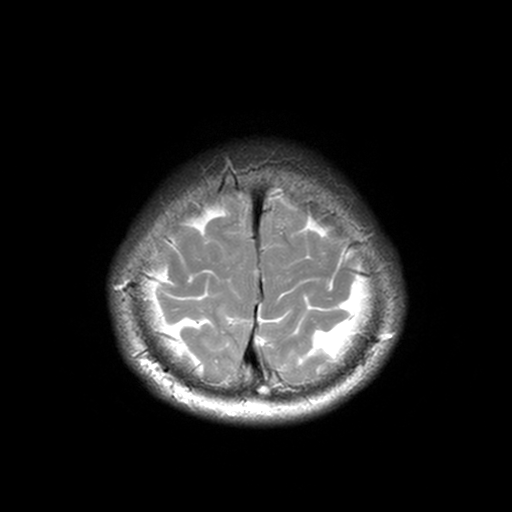
Summary: 3 Tesla brain MRI. Series: T2-weighted turbo spin echo, 3 mm. Study: ring-enhancing brain masses.